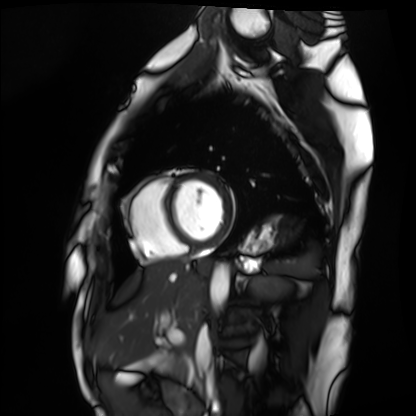
modality=cardiac MRI
subject group=healthy volunteer